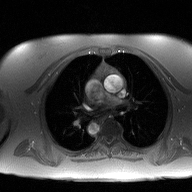
– modality · 2D phase-contrast cine MRI of the ascending aorta